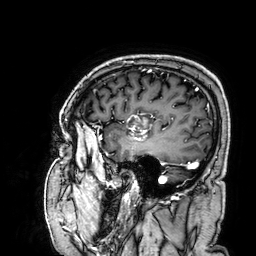
3 Tesla brain MRI.
Series: 3D T1-weighted.
Study: ring-enhancing brain masses.